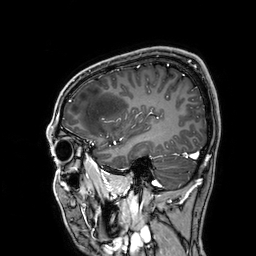
Q: What kind of scan is this?
A: 3 Tesla brain MRI.
Q: Series?
A: 3D T1-weighted.
Study: ring-enhancing brain masses.